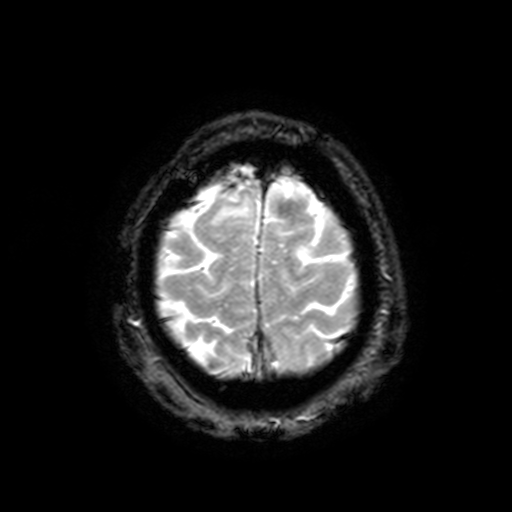
| field | value |
|---|---|
| modality | 3 Tesla brain MRI |
| series | T2-weighted fast field echo with SENSE |
| study | ring-enhancing brain masses |